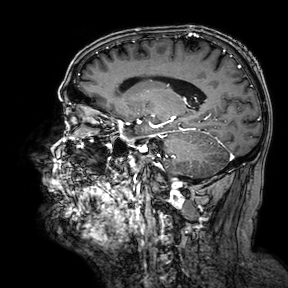
Q: What kind of scan is this?
A: 3 Tesla brain MRI.
Q: Series?
A: 3D T1-weighted turbo field echo with SENSE.
Study: ring-enhancing brain masses.